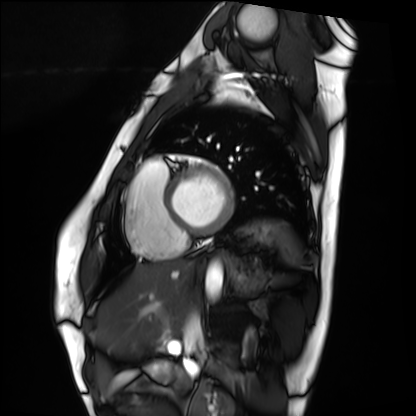
Summary:
Cardiac MRI. Subject group: healthy volunteer.